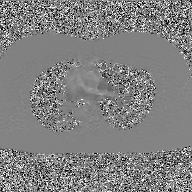
modality: 2D phase-contrast cine MRI of the ascending aorta, GAN super-resolution reconstruction.